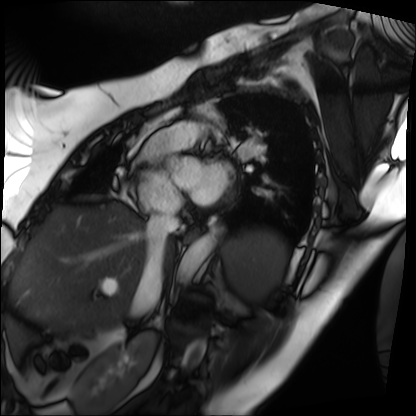
- modality — cardiac MRI
- subject group — patient